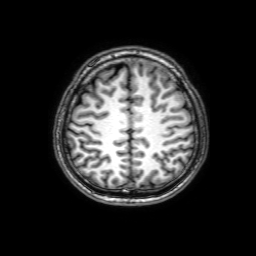
– modality — 3 Tesla brain MRI
– series — 3D T1-weighted with SENSE
– study — ring-enhancing brain masses